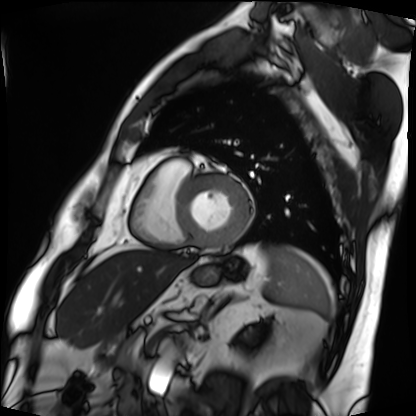
Cardiac MRI. Subject group: patient.